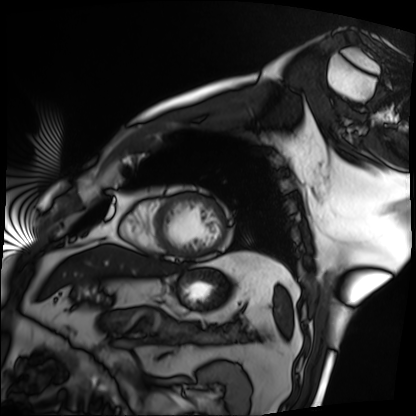
Cardiac MRI. Subject group: patient.